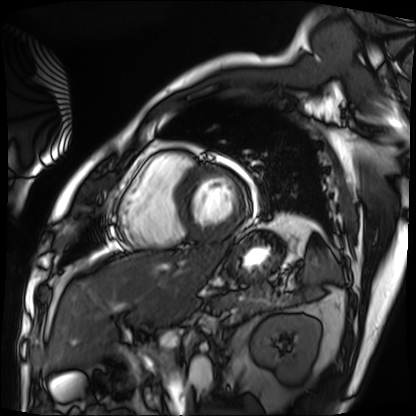
Case summary: Cardiac MRI. Subject group: patient.